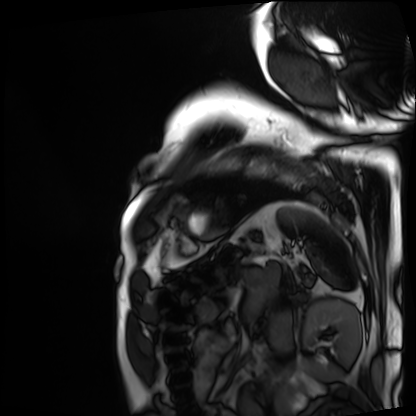
Summary:
Cardiac MRI. Subject group: patient.